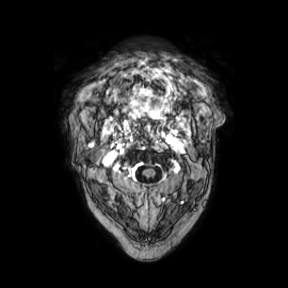
* modality: 3 Tesla brain MRI
* series: axial
* study: ring-enhancing brain masses